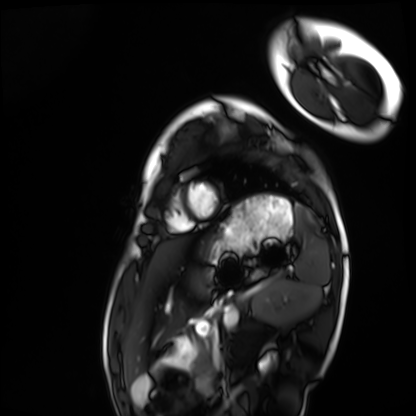
Cardiac MRI. Subject group: healthy volunteer.